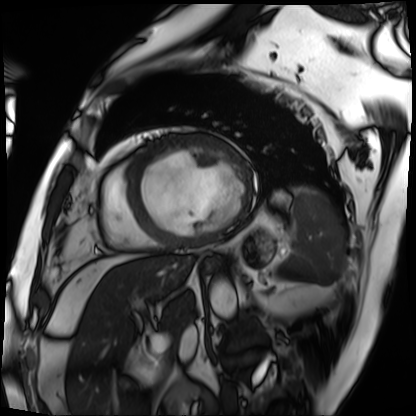
Cardiac MRI.
Subject group: patient.